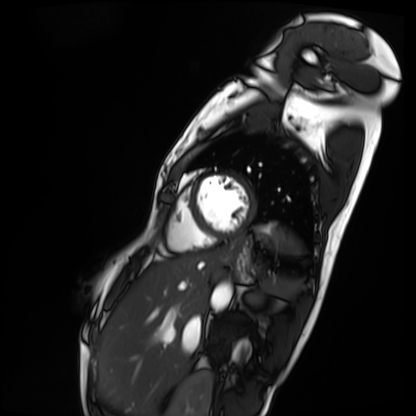
Cardiac MRI. Subject group: patient.